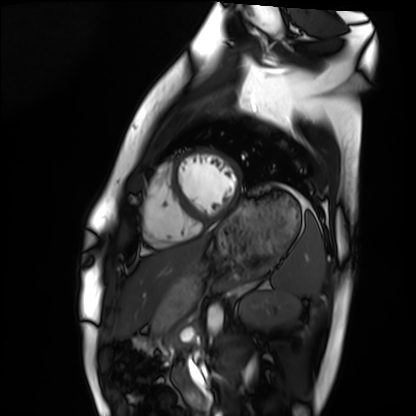
Cardiac MRI. Subject group: healthy volunteer.